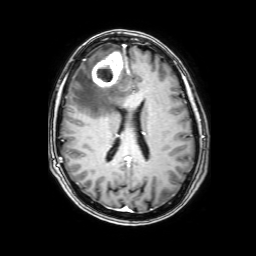
{
  "modality": {
    "type": "brain MRI",
    "field_strength": "3T"
  },
  "series": "3D T1-weighted with SENSE",
  "study_topic": "ring-enhancing brain masses"
}